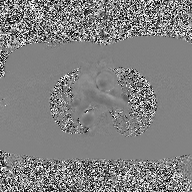
Summary:
2D phase-contrast cine MRI of the ascending aorta, high-resolution GRAPPA acquisition.